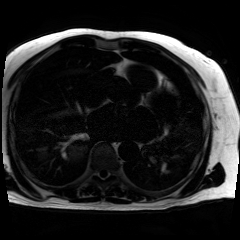
{
  "modality": "chemical-shift-encoded cardiac MRI"
}